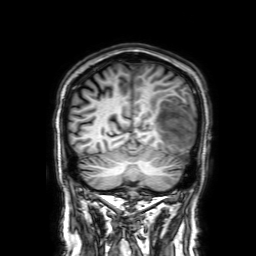
– modality · 3 Tesla brain MRI
– series · 3D T1-weighted with SENSE
– study · ring-enhancing brain masses